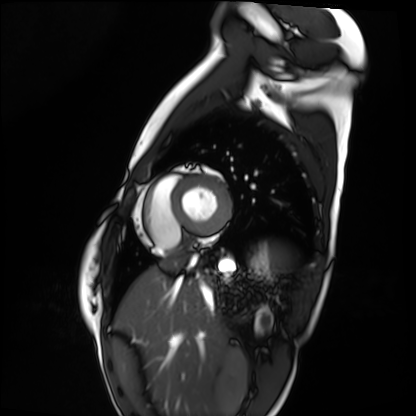
<case>
<modality>cardiac MRI</modality>
<cohort>healthy volunteer</cohort>
</case>